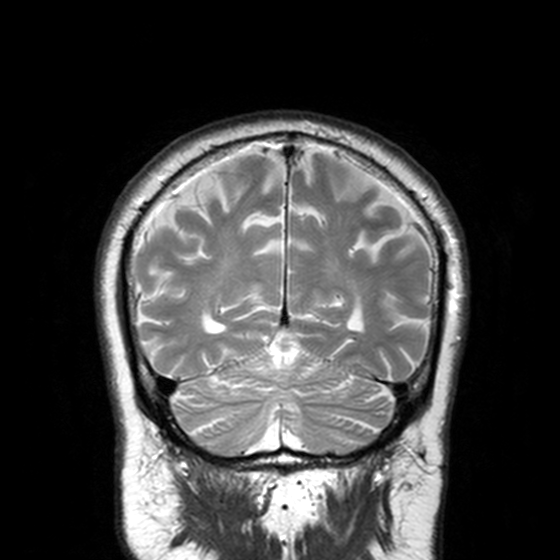
Case:
* modality · 3 Tesla brain MRI
* series · T2-weighted turbo spin echo, 3 mm
* study · ring-enhancing brain masses